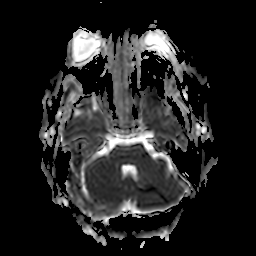
3 Tesla brain MRI. Series: apparent diffusion coefficient (ADC) map. Study: ring-enhancing brain masses.